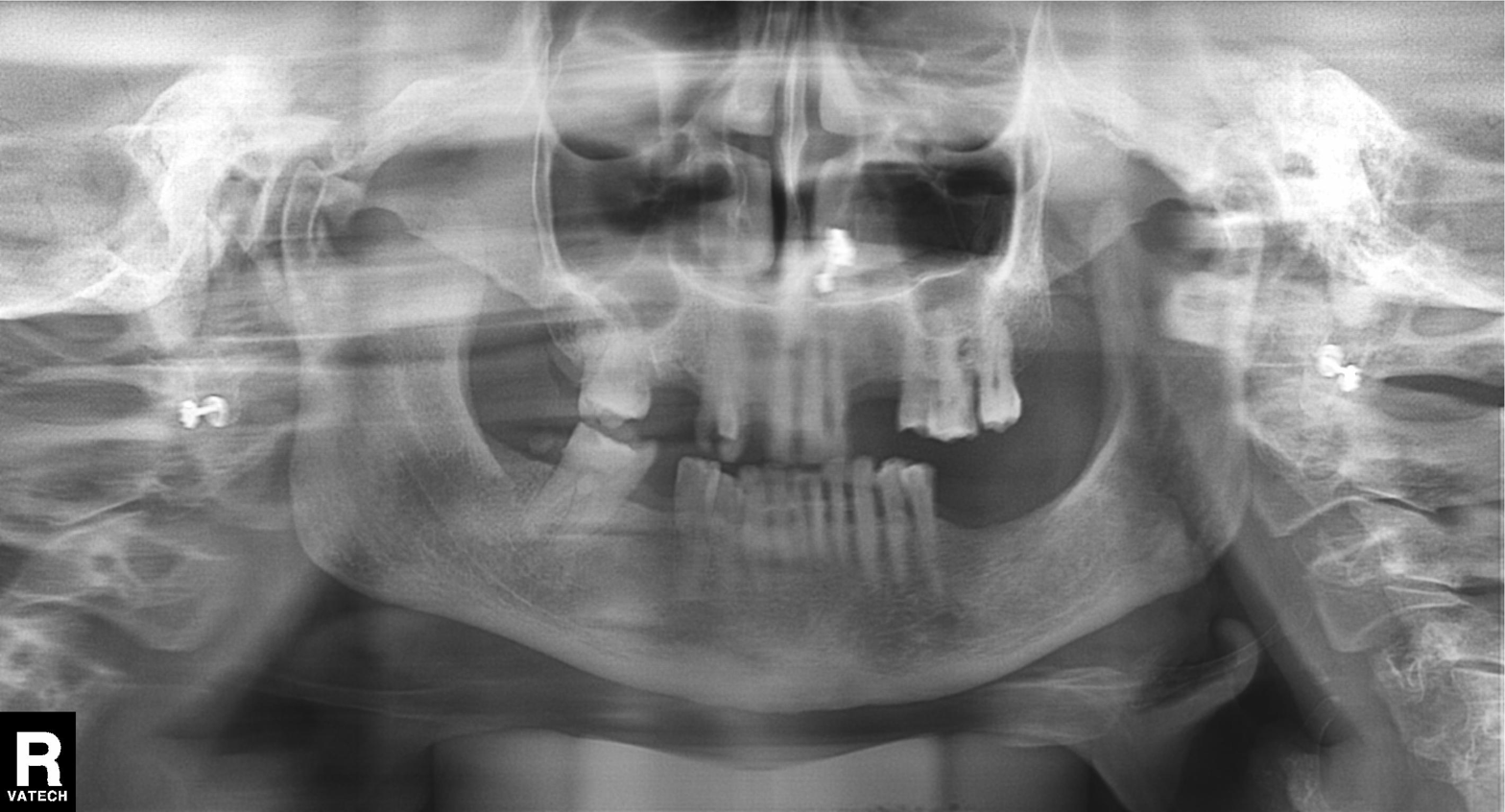
Panoramic dental radiograph (orthopantomogram).
Finding: alveolar bone loss.